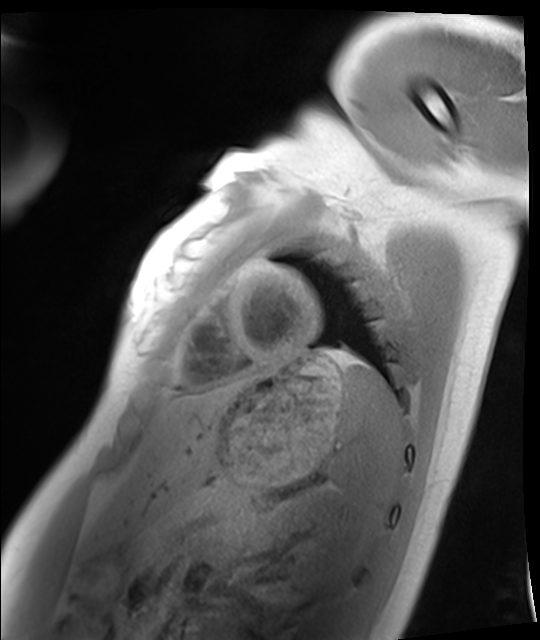
Summary:
Cardiac MRI. Subject group: healthy volunteer.